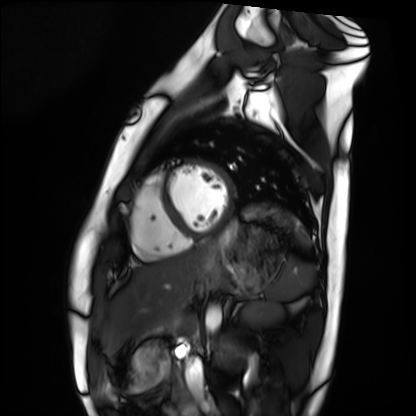
modality: cardiac MRI
cohort: healthy volunteer